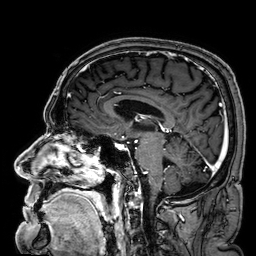
* modality: 3 Tesla brain MRI
* series: 3D T1-weighted
* study: ring-enhancing brain masses